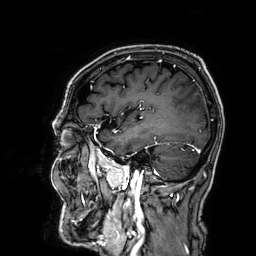
3 Tesla brain MRI.
Series: 3D T1-weighted.
Study: ring-enhancing brain masses.